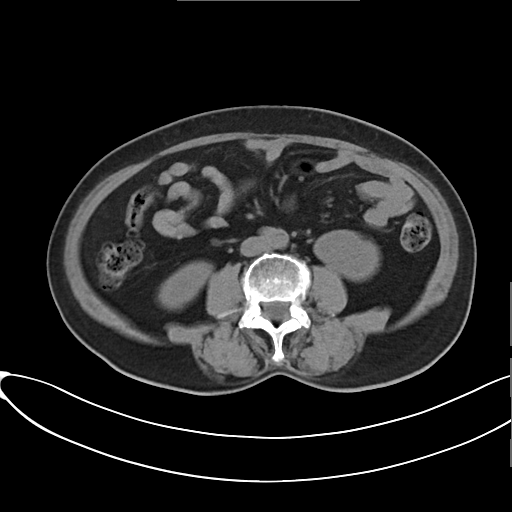
modality: multiphase abdominal CT, liver, non-contrast phase
patient: female, age 61